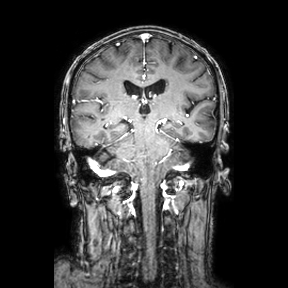
3 Tesla brain MRI.
Series: coronal.
Study: ring-enhancing brain masses.